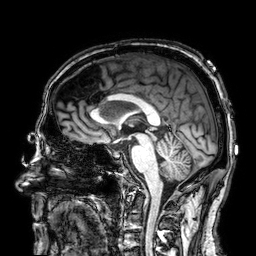
3 Tesla brain MRI. Series: 3D T1-weighted. Study: ring-enhancing brain masses.